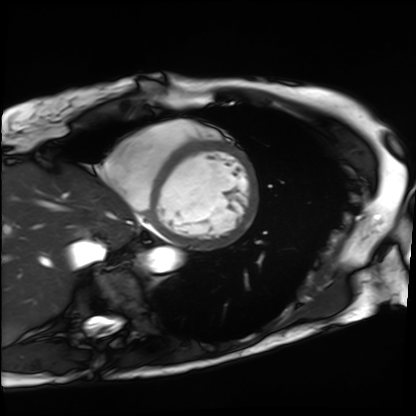
modality: cardiac MRI
subject group: patient